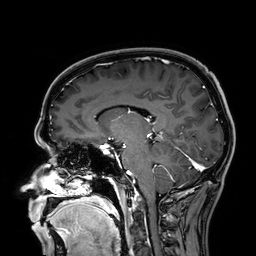
modality: 3 Tesla brain MRI | series: 3D T1-weighted | study: ring-enhancing brain masses.